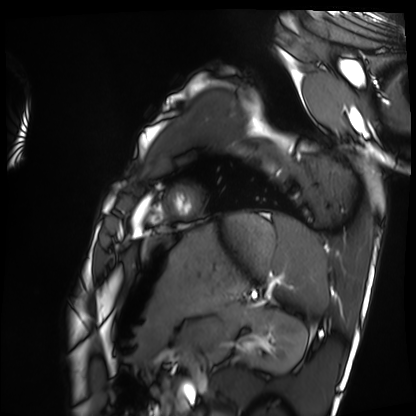
<scan>
  <modality>cardiac MRI</modality>
  <cohort>healthy volunteer</cohort>
</scan>